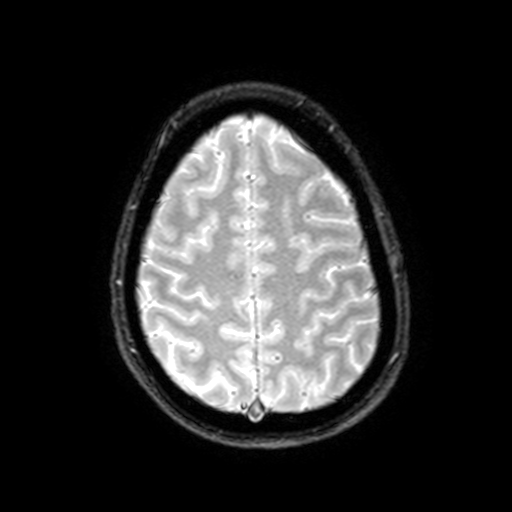
• modality · 3 Tesla brain MRI
• series · T2-weighted fast field echo with SENSE
• study · ring-enhancing brain masses